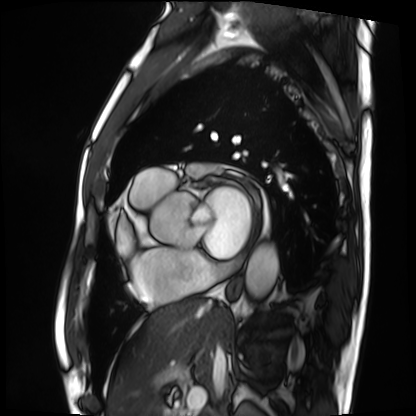
modality = cardiac MRI; subject group = patient.